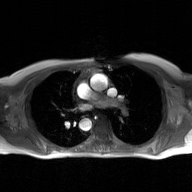
modality — 2D phase-contrast cine MRI of the ascending aorta, GAN super-resolution reconstruction.